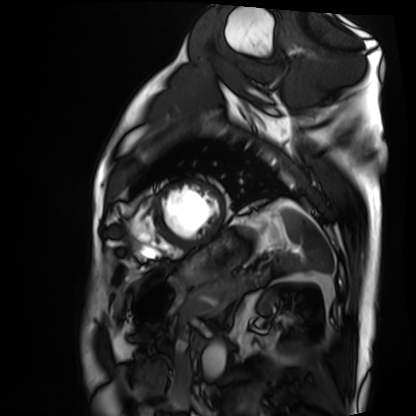
Case:
– modality: cardiac MRI
– subject group: patient